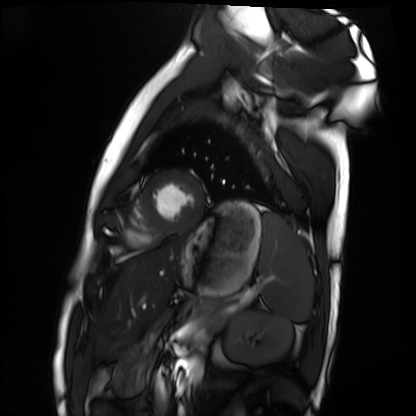
Q: What kind of scan is this?
A: Cardiac MRI.
Subject group: healthy volunteer.